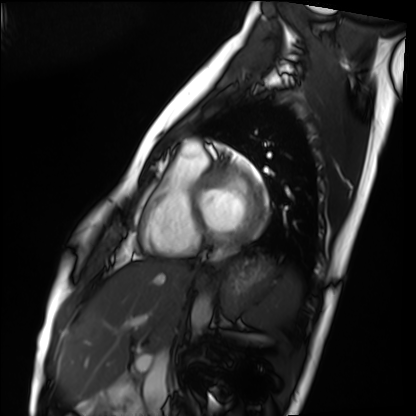
<record>
<modality>cardiac MRI</modality>
<cohort>healthy volunteer</cohort>
</record>